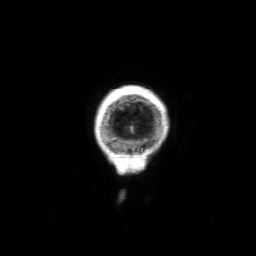
3 Tesla brain MRI. Study: ring-enhancing brain masses.